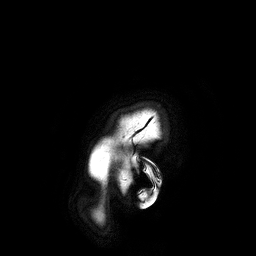
3 Tesla brain MRI. Series: 3D T1-weighted turbo field echo. Study: ring-enhancing brain masses.